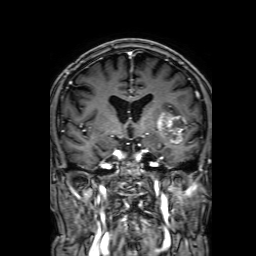
3 Tesla brain MRI.
Series: 3D T1-weighted with SENSE.
Study: ring-enhancing brain masses.